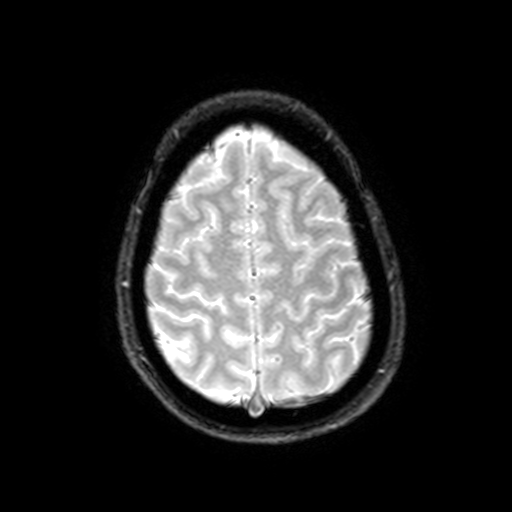
* modality: 3 Tesla brain MRI
* series: T2-weighted fast field echo with SENSE
* study: ring-enhancing brain masses